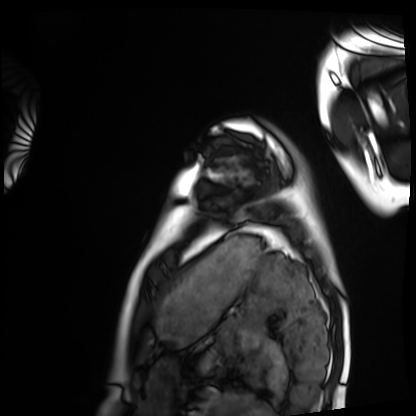
| field | value |
|---|---|
| modality | cardiac MRI |
| subject group | healthy volunteer |